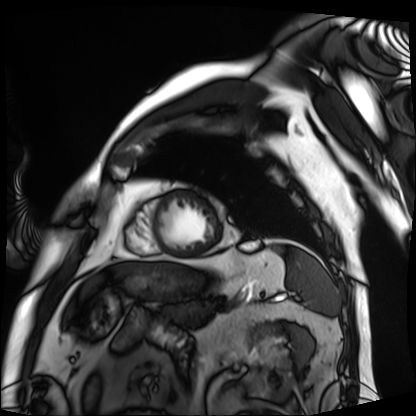
{
  "modality": "cardiac MRI",
  "cohort": "patient"
}